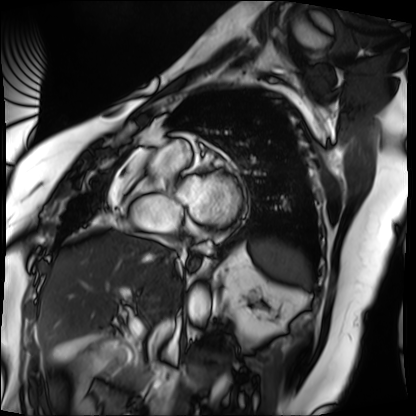
modality: cardiac MRI
subject group: patient